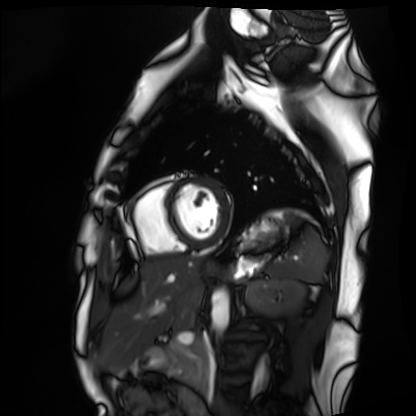
Case summary: Cardiac MRI. Subject group: healthy volunteer.